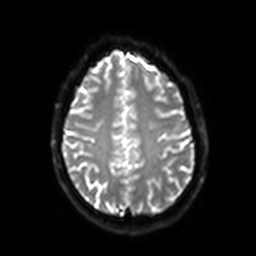
3 Tesla brain MRI. Series: diffusion-weighted imaging with SENSE (WIP). Study: ring-enhancing brain masses.